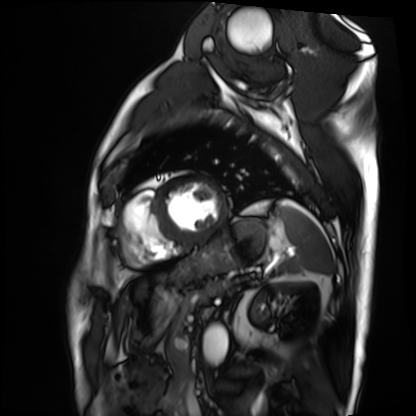
Cardiac MRI.
Subject group: patient.